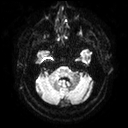
modality = 3 Tesla brain MRI | series = diffusion tensor imaging (medium iso) | study = ring-enhancing brain masses.